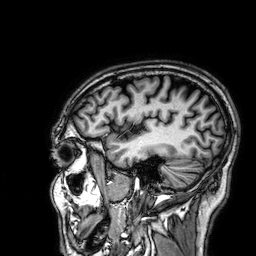
3 Tesla brain MRI.
Series: 3D T1-weighted.
Study: ring-enhancing brain masses.